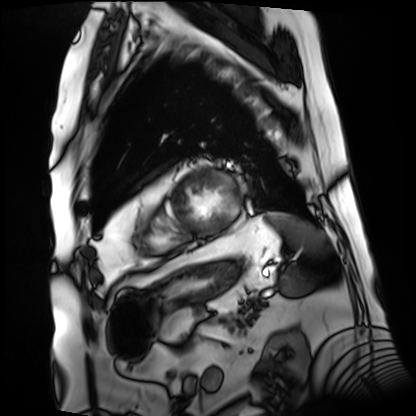
modality: cardiac MRI
subject group: patient